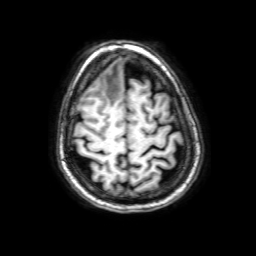
<record>
<modality>
  <type>brain MRI</type>
  <field_strength>3T</field_strength>
</modality>
<series>3D T1-weighted with SENSE</series>
<study_topic>ring-enhancing brain masses</study_topic>
</record>